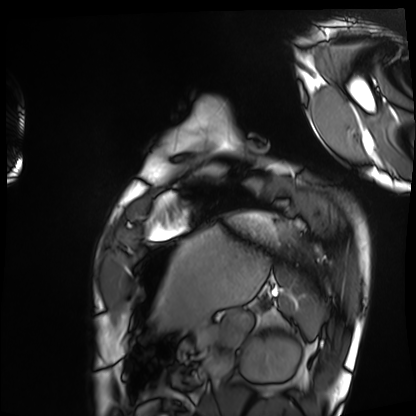
Case:
– modality: cardiac MRI
– subject group: healthy volunteer